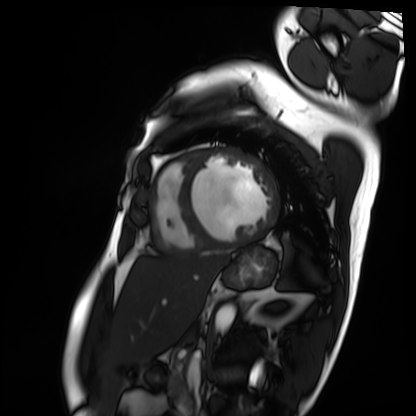
Q: What kind of scan is this?
A: Cardiac MRI.
Subject group: patient.